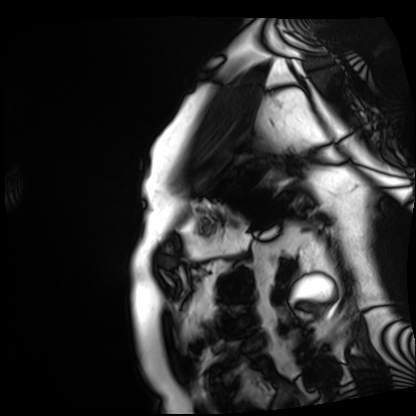
Q: What kind of scan is this?
A: Cardiac MRI.
Subject group: patient.